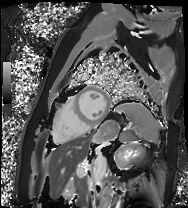
modality = cardiac MRI; subject group = patient.